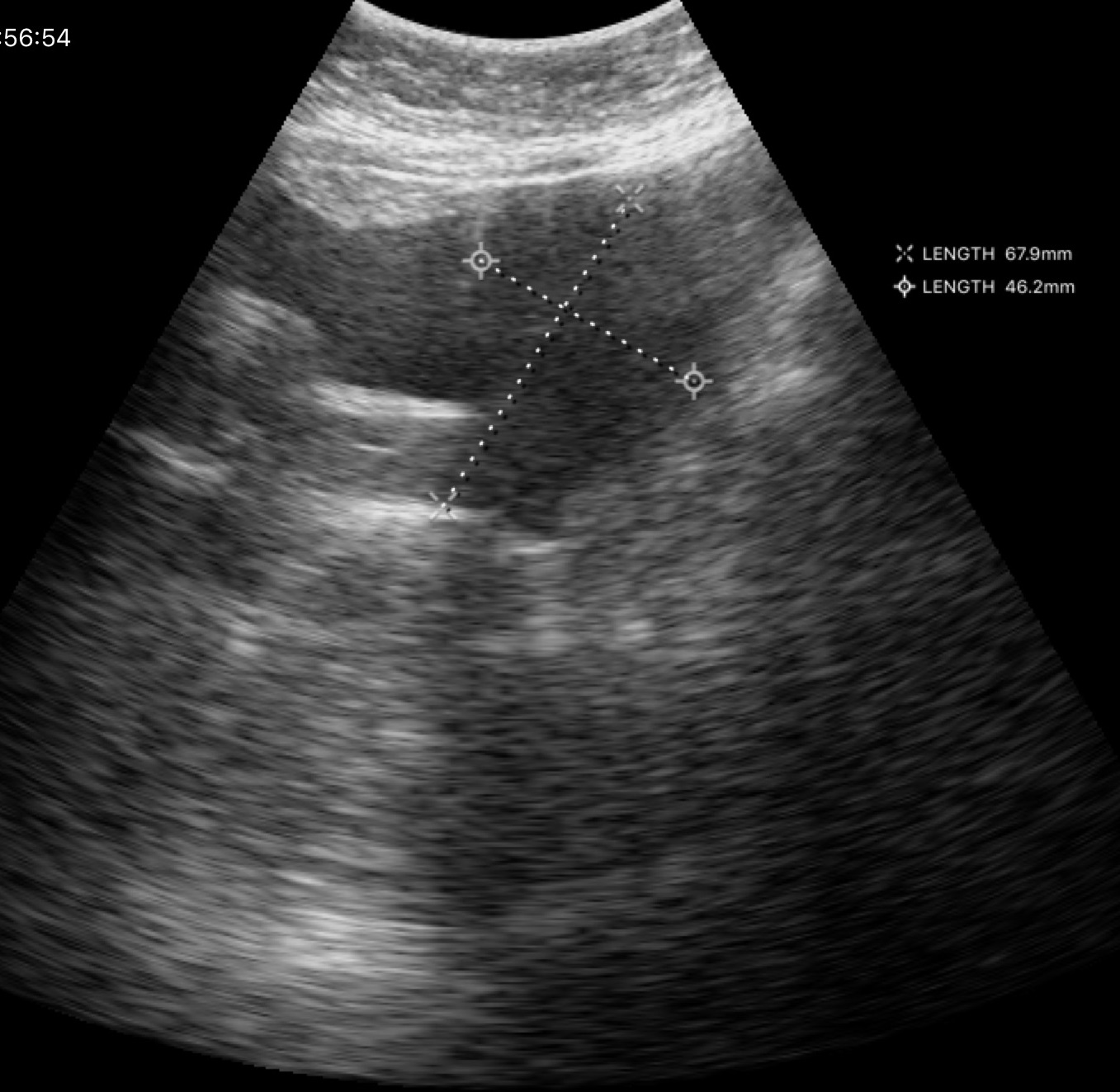
Summary:
Genitourinary ultrasound.